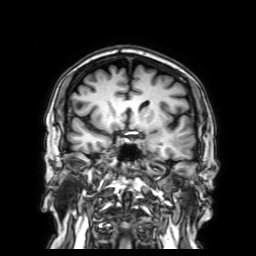
3 Tesla brain MRI.
Series: 3D T1-weighted with SENSE.
Study: ring-enhancing brain masses.